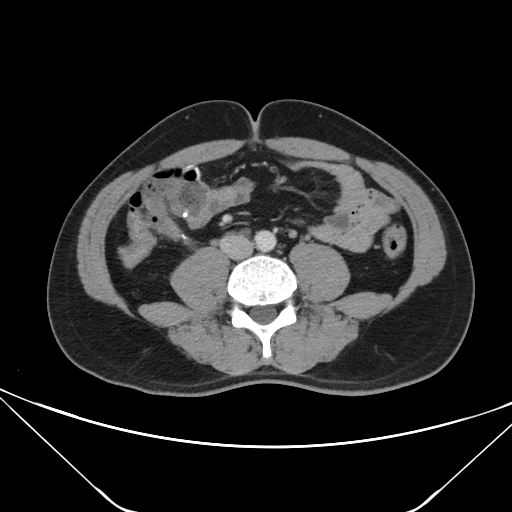
Q: What kind of scan is this?
A: Multiphase abdominal CT, liver, portal venous phase.